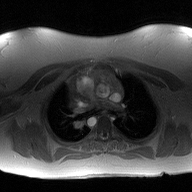
2D phase-contrast cine MRI of the ascending aorta, high-resolution GRAPPA acquisition.